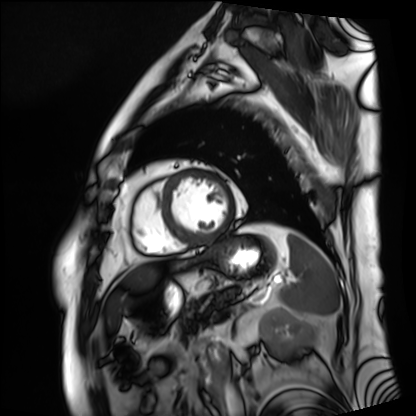
| field | value |
|---|---|
| modality | cardiac MRI |
| subject group | patient |